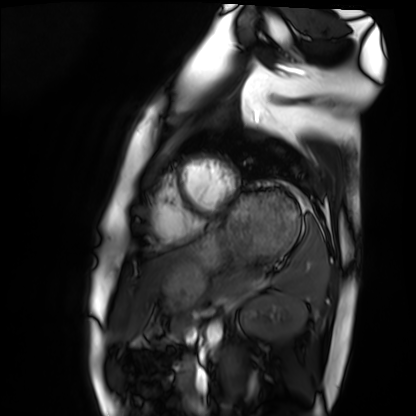
Cardiac MRI.
Subject group: healthy volunteer.